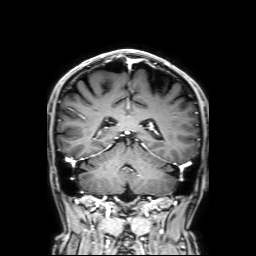
3 Tesla brain MRI.
Series: 3D T1-weighted with SENSE.
Study: ring-enhancing brain masses.